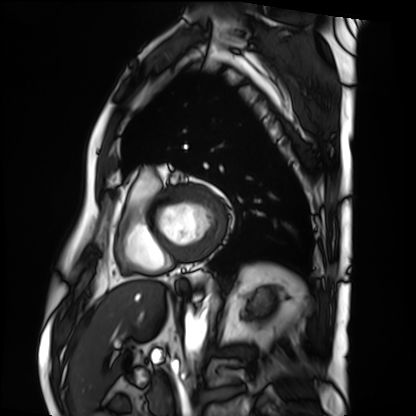
Cardiac MRI. Subject group: patient.